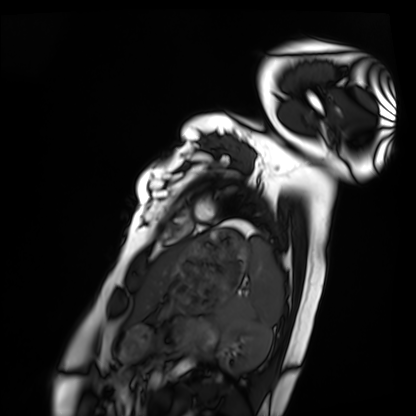
modality = cardiac MRI; subject group = healthy volunteer.